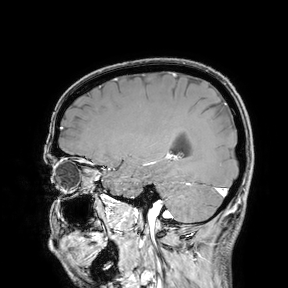
- modality: 3 Tesla brain MRI
- study: ring-enhancing brain masses